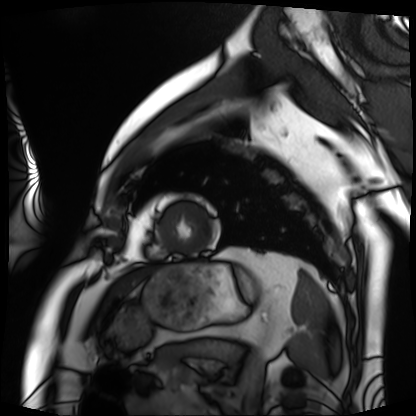
Cardiac MRI. Subject group: patient.